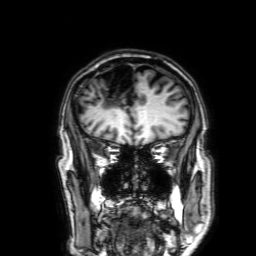
modality: 3 Tesla brain MRI
series: 3D T1-weighted with SENSE
study: ring-enhancing brain masses